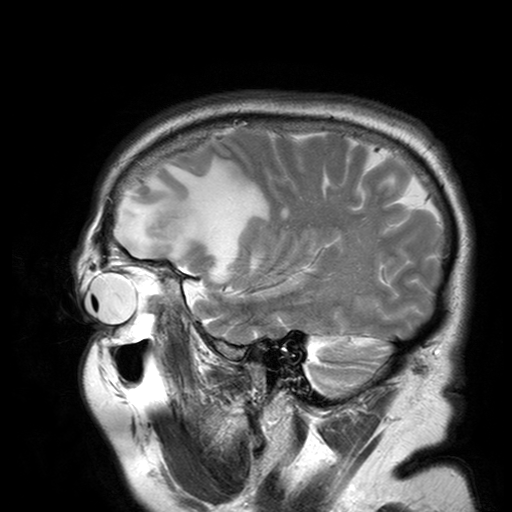
3 Tesla brain MRI. Series: T2-weighted turbo spin echo with SENSE. Study: ring-enhancing brain masses.